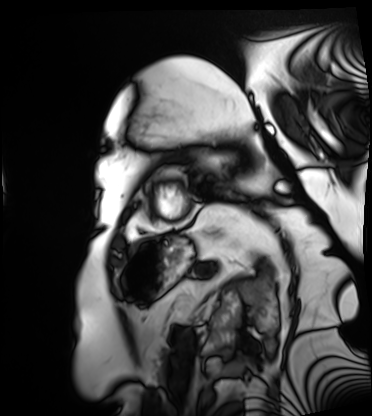
Cardiac MRI.
Subject group: patient.